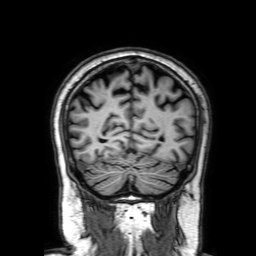
Q: What kind of scan is this?
A: 3 Tesla brain MRI.
Q: Series?
A: 3D T1-weighted with SENSE.
Study: ring-enhancing brain masses.